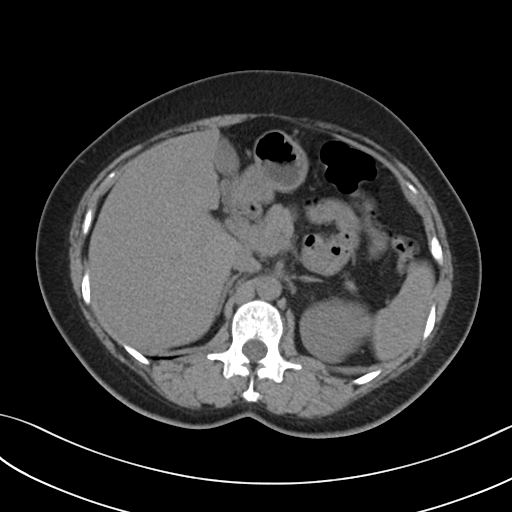
| field | value |
|---|---|
| modality | multiphase abdominal CT, liver, non-contrast phase |
| patient | female, age 51 |
| history | prior chemotherapy |